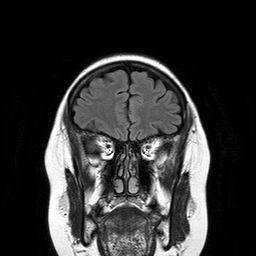
Case summary:
3 Tesla brain MRI. Series: T2-weighted FLAIR. Study: ring-enhancing brain masses.